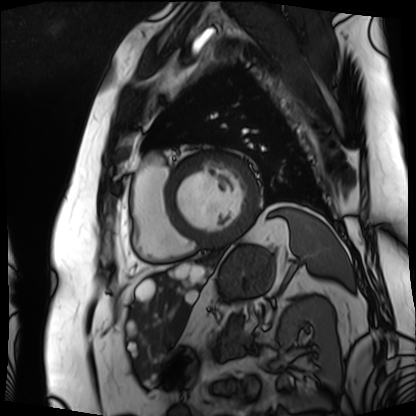
Cardiac MRI.
Subject group: patient.